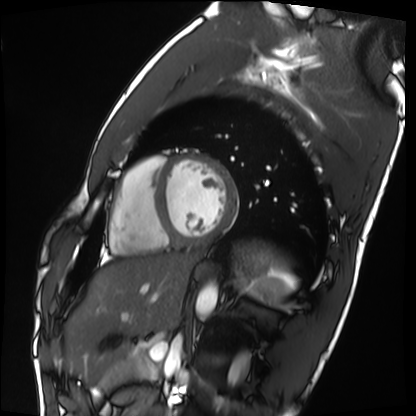
Cardiac MRI. Subject group: healthy volunteer.